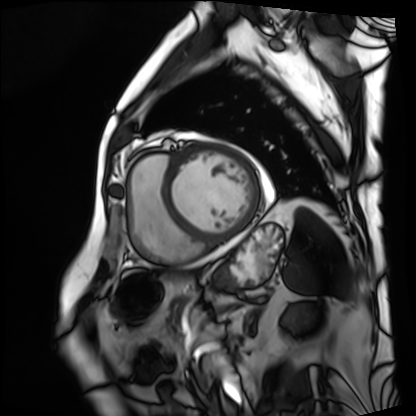
Cardiac MRI.
Subject group: patient.